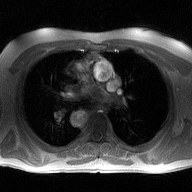
Case summary:
2D phase-contrast cine MRI of the ascending aorta, high-resolution GRAPPA acquisition.